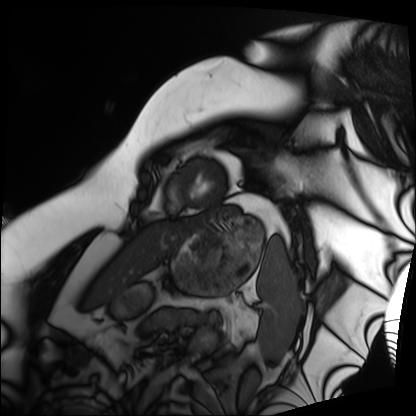
Q: What kind of scan is this?
A: Cardiac MRI.
Subject group: patient.